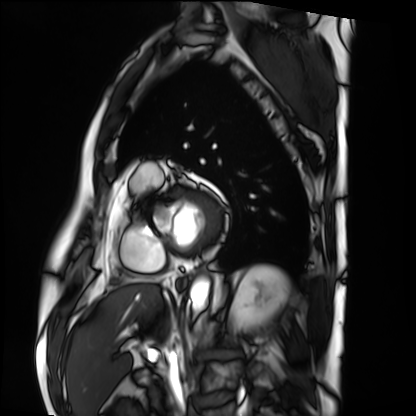
modality = cardiac MRI | subject group = patient.